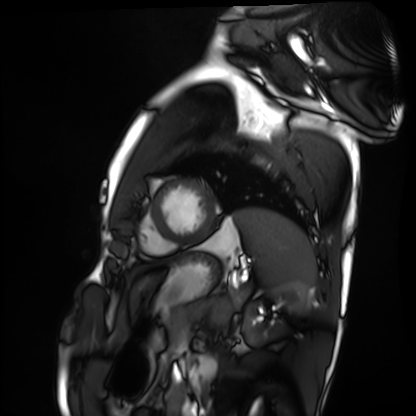
Cardiac MRI. Subject group: healthy volunteer.